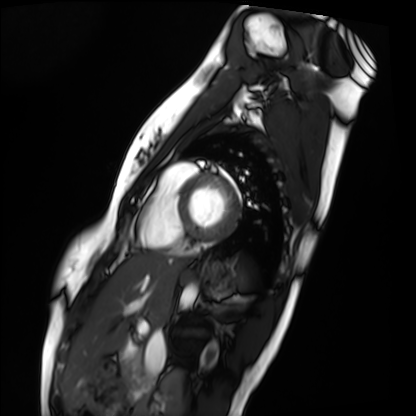
Cardiac MRI.
Subject group: healthy volunteer.